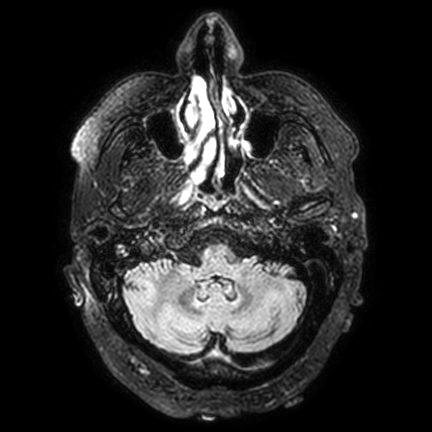
3 Tesla brain MRI. Series: FLAIR VISTA with SENSE. Study: ring-enhancing brain masses.